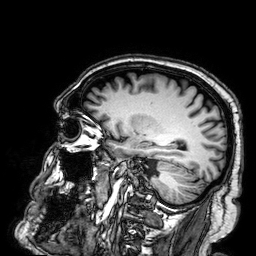
Case:
* modality — 3 Tesla brain MRI
* series — 3D T1-weighted
* study — ring-enhancing brain masses